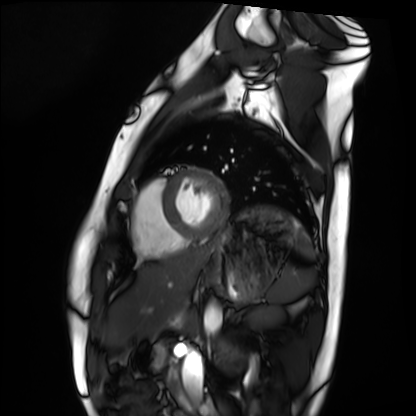
* modality — cardiac MRI
* subject group — healthy volunteer